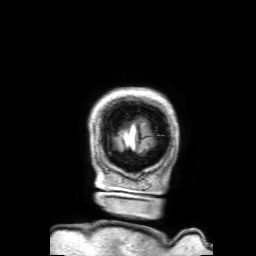
| field | value |
|---|---|
| modality | 3 Tesla brain MRI |
| series | 3D T1-weighted with SENSE |
| study | ring-enhancing brain masses |